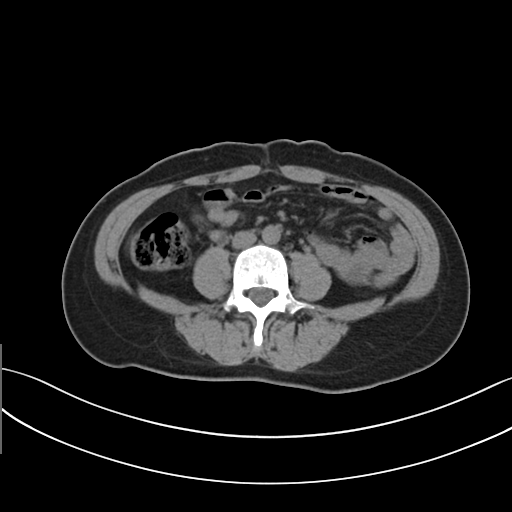
{
  "modality": {
    "type": "multiphase abdominal CT",
    "region": "liver",
    "phase": "non-contrast"
  },
  "patient": {
    "sex": "female",
    "age": 43
  },
  "history": [
    "prior chemotherapy"
  ]
}